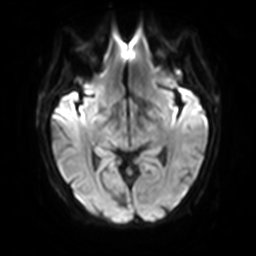
modality = 3 Tesla brain MRI
series = diffusion-weighted imaging with SENSE (WIP)
study = ring-enhancing brain masses